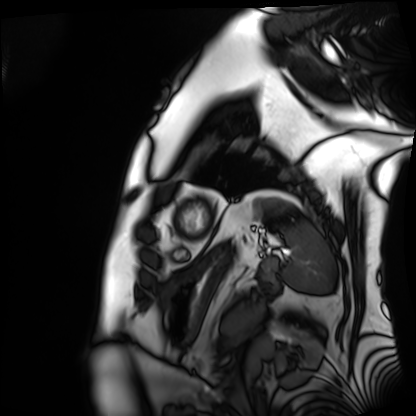
Summary: Cardiac MRI. Subject group: patient.